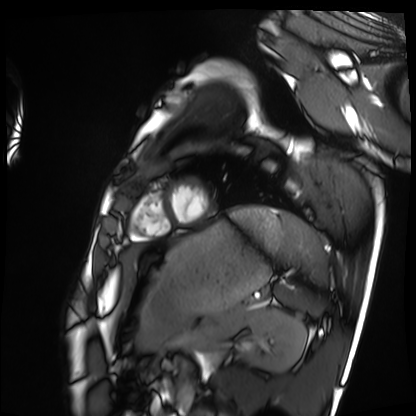
Cardiac MRI.
Subject group: healthy volunteer.